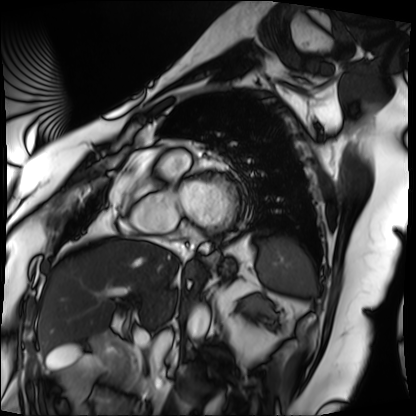
Cardiac MRI. Subject group: patient.